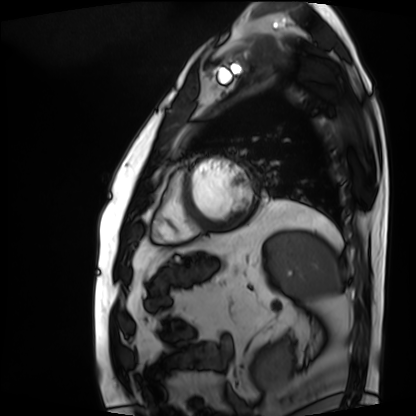
<study>
  <modality>cardiac MRI</modality>
  <cohort>patient</cohort>
</study>